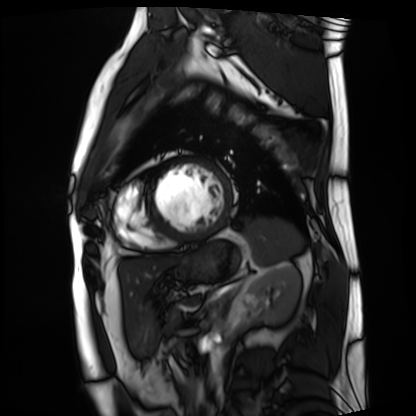
Cardiac MRI.
Subject group: patient.